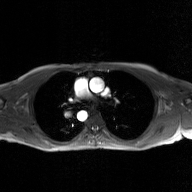
2D phase-contrast cine MRI of the ascending aorta, GAN super-resolution reconstruction.